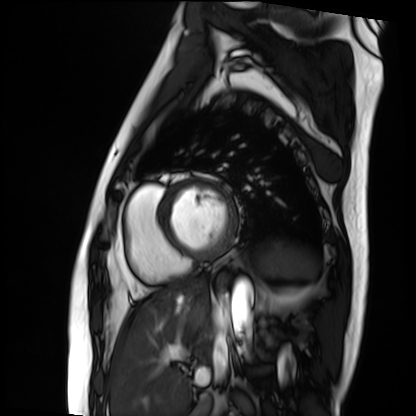
modality: cardiac MRI, subject group: patient.